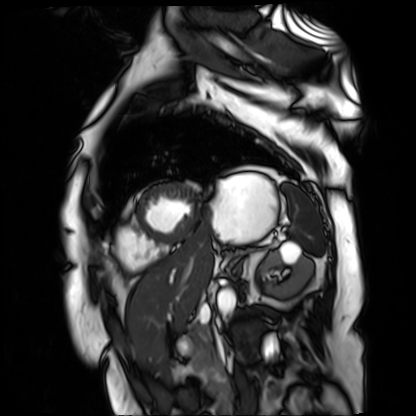
* modality · cardiac MR image of the myocardium
* subject cohort · cardiac patient